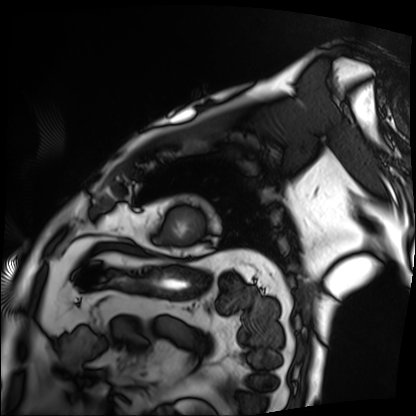
Cardiac MRI. Subject group: patient.